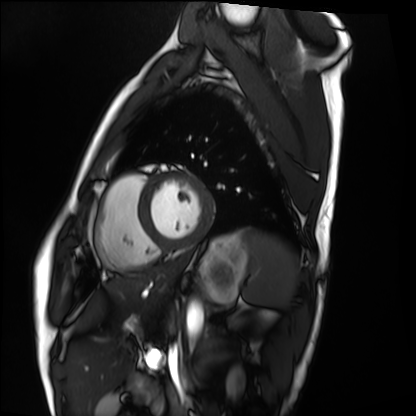
Q: What kind of scan is this?
A: Cardiac MRI.
Subject group: healthy volunteer.